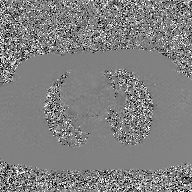
2D phase-contrast cine MRI of the ascending aorta, GAN super-resolution reconstruction.